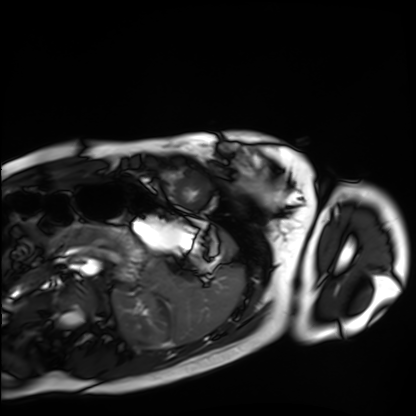
Cardiac MRI. Subject group: healthy volunteer.